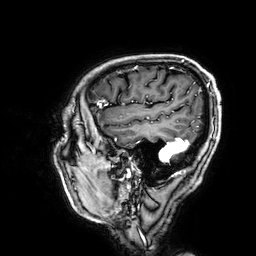
| field | value |
|---|---|
| modality | 3 Tesla brain MRI |
| study | ring-enhancing brain masses |